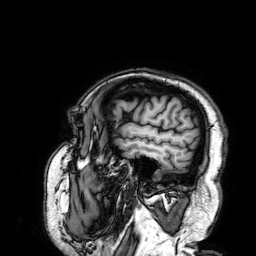
3 Tesla brain MRI. Series: 3D T1-weighted. Study: ring-enhancing brain masses.